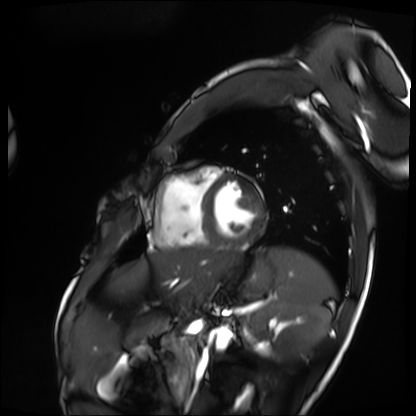
Q: What kind of scan is this?
A: Cardiac MRI.
Subject group: patient.